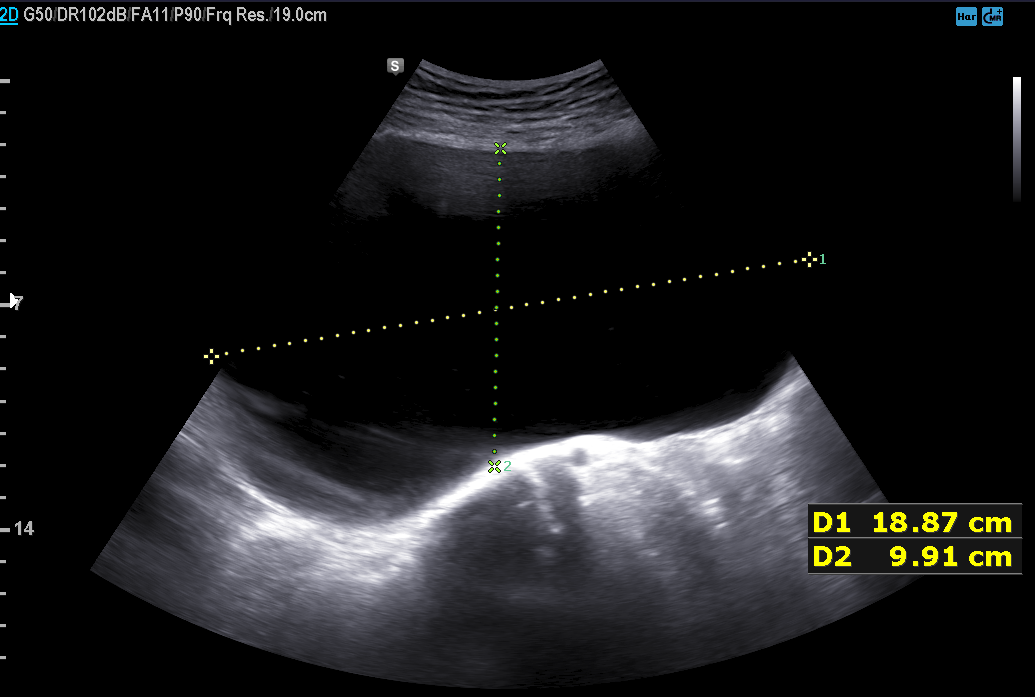
– modality · genitourinary ultrasound